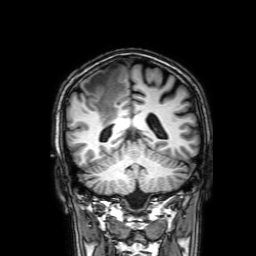
Summary: 3 Tesla brain MRI. Series: 3D T1-weighted with SENSE. Study: ring-enhancing brain masses.